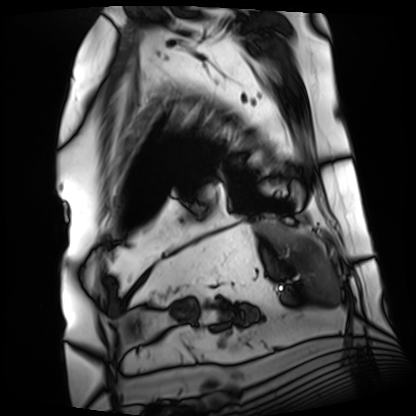
Cardiac MRI.
Subject group: patient.